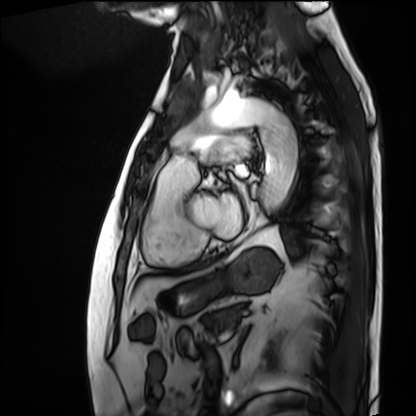
modality=cardiac MRI; subject group=patient.